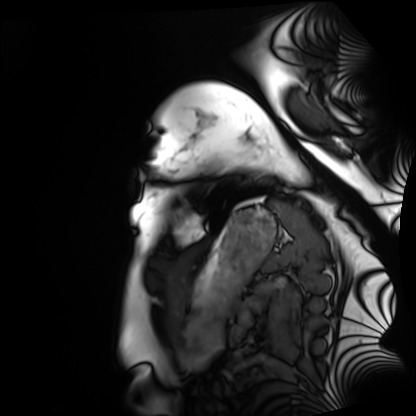
<study>
  <modality>cardiac MRI</modality>
  <cohort>healthy volunteer</cohort>
</study>